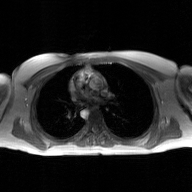
Case summary:
2D phase-contrast cine MRI of the ascending aorta, GAN super-resolution reconstruction.